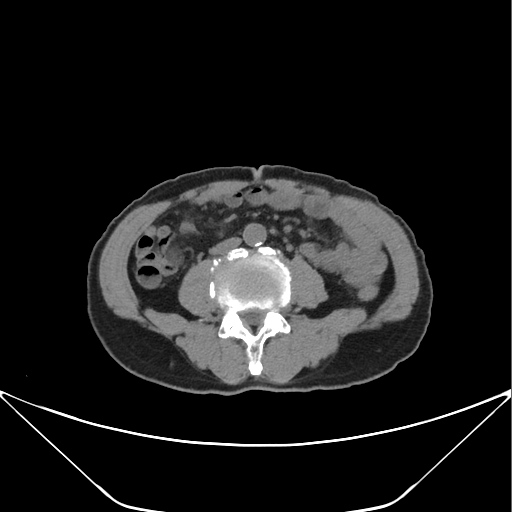
modality — multiphase abdominal CT, liver, non-contrast phase